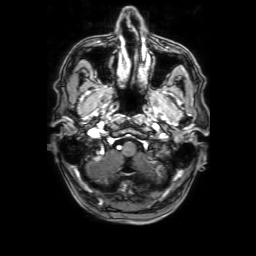
modality — 3 Tesla brain MRI; series — 3D T1-weighted with SENSE; study — ring-enhancing brain masses.